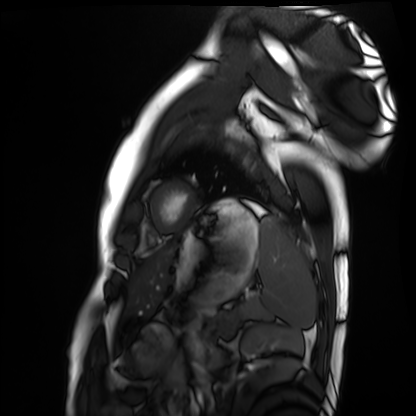
Case:
* modality: cardiac MRI
* subject group: healthy volunteer